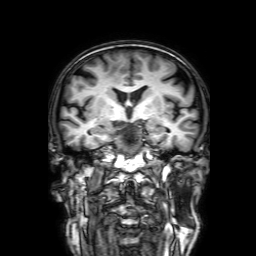
{"modality": {"type": "brain MRI", "field_strength": "3T"}, "series": "3D T1-weighted with SENSE", "study_topic": "ring-enhancing brain masses"}